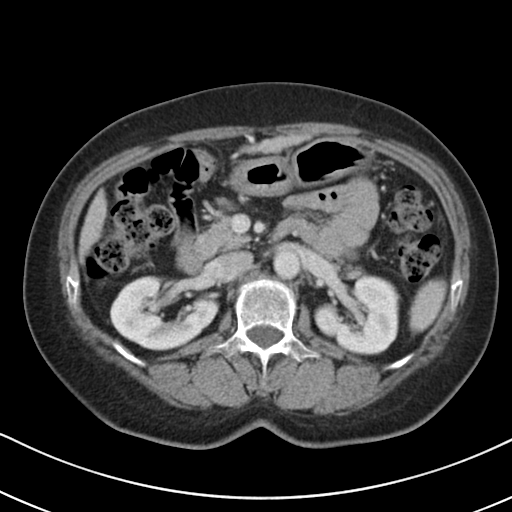
modality: multiphase abdominal CT, liver, portal venous phase | patient: female, age 61 | history: cirrhosis, viral hepatitis.